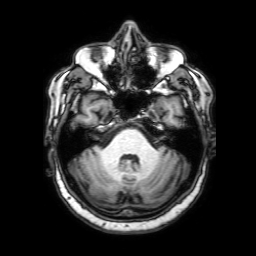
{"modality": {"type": "brain MRI", "field_strength": "3T"}, "series": "3D T1-weighted with SENSE", "study_topic": "ring-enhancing brain masses"}